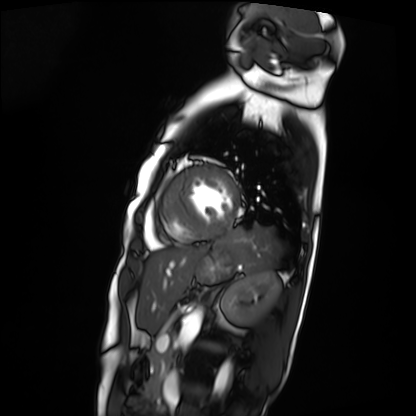
Cardiac MRI. Subject group: patient.